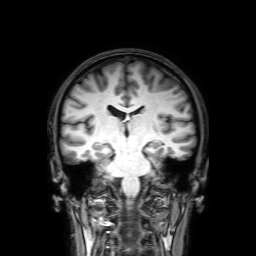
– modality — 3 Tesla brain MRI
– series — 3D T1-weighted with SENSE
– study — ring-enhancing brain masses